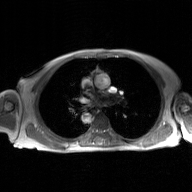
| field | value |
|---|---|
| modality | 2D phase-contrast cine MRI of the ascending aorta, GAN super-resolution reconstruction |